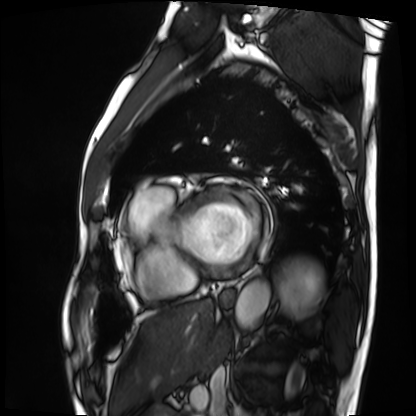
Cardiac MRI. Subject group: patient.